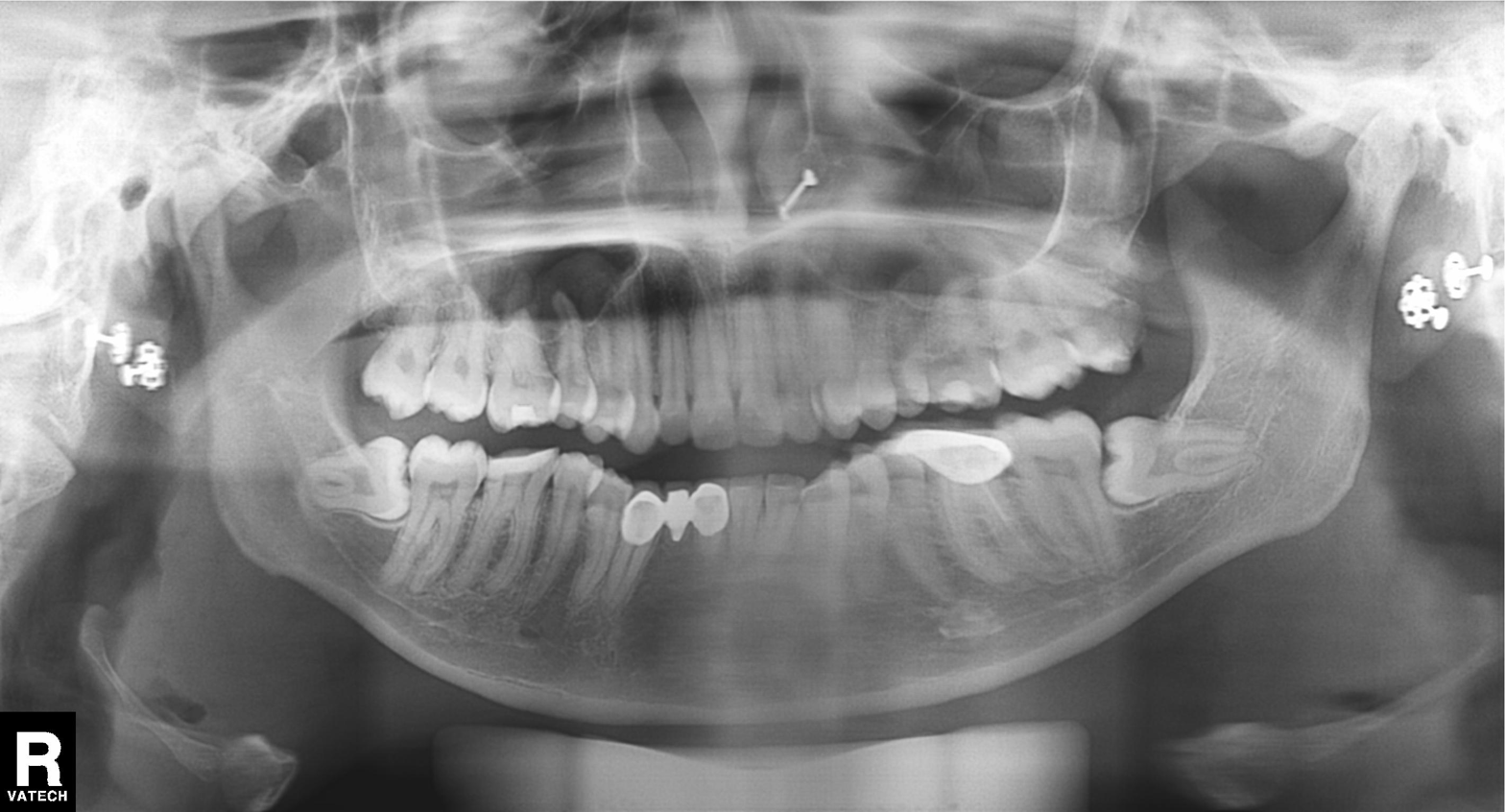
Panoramic dental radiograph (orthopantomogram). Finding: dental caries (cavities).